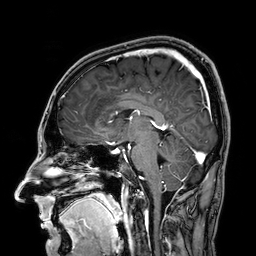
Clinical context: 3 Tesla brain MRI. Series: 3D T1-weighted. Study: ring-enhancing brain masses.